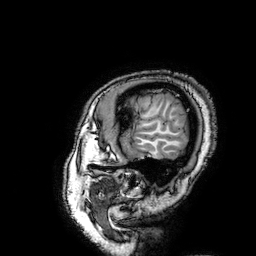
Summary:
3 Tesla brain MRI. Series: 3D T1-weighted turbo field echo with SENSE. Study: ring-enhancing brain masses.